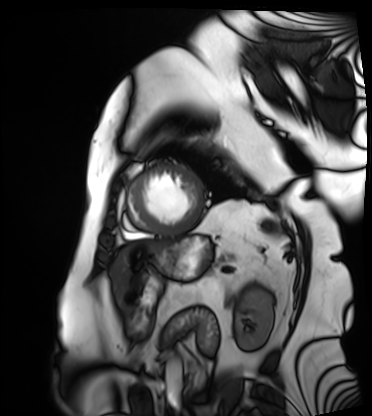
Cardiac MRI. Subject group: patient.